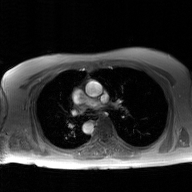
Summary:
2D phase-contrast cine MRI of the ascending aorta, GAN super-resolution reconstruction.